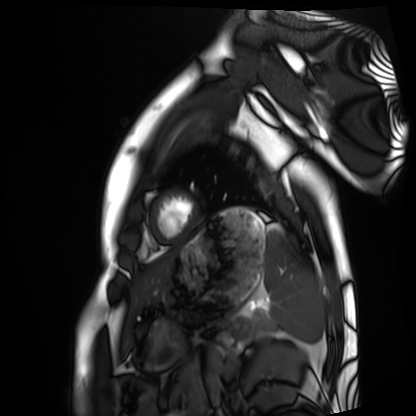
Q: What kind of scan is this?
A: Cardiac MRI.
Subject group: healthy volunteer.